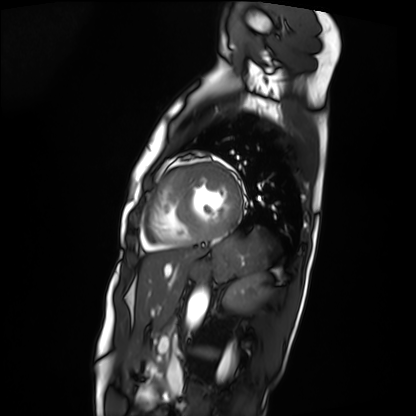
Summary:
Cardiac MRI. Subject group: patient.